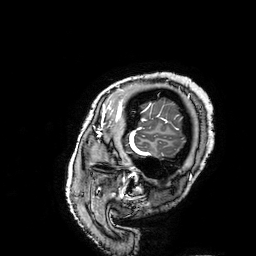
3 Tesla brain MRI. Series: 3D T1-weighted turbo field echo with SENSE. Study: ring-enhancing brain masses.